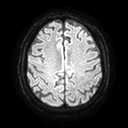
Q: What kind of scan is this?
A: 3 Tesla brain MRI.
Q: Series?
A: Diffusion tensor imaging (medium iso).
Study: ring-enhancing brain masses.